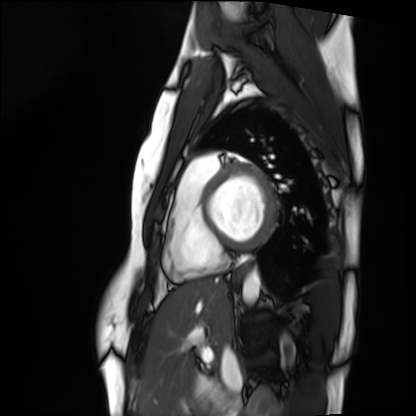
modality: cardiac MRI
cohort: healthy volunteer